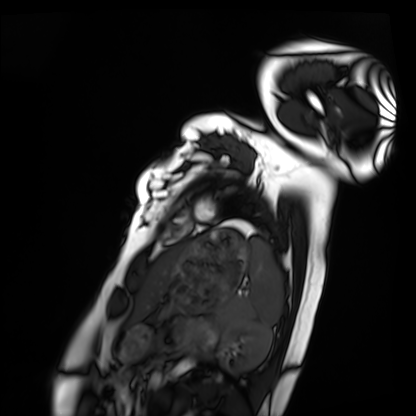
modality: cardiac MRI
subject group: healthy volunteer